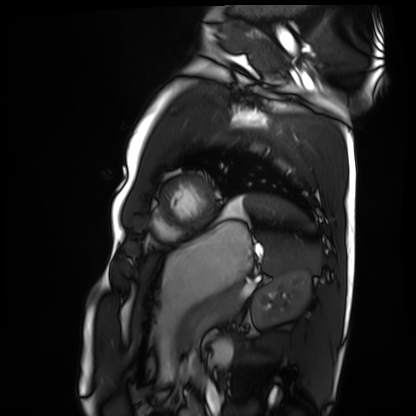
Cardiac MRI.
Subject group: healthy volunteer.